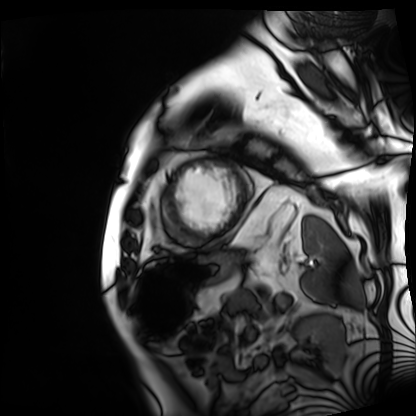
Cardiac MRI.
Subject group: patient.